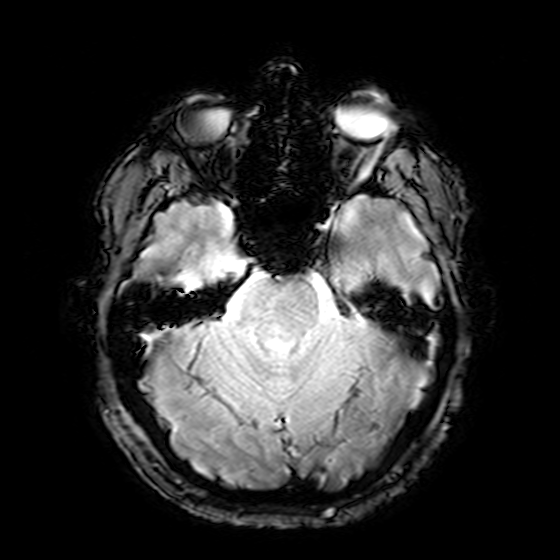
modality — 3 Tesla brain MRI; series — T2-weighted fast field echo; study — ring-enhancing brain masses.